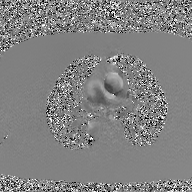
modality: 2D phase-contrast cine MRI of the ascending aorta, GAN super-resolution reconstruction